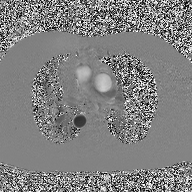
Summary: 2D phase-contrast cine MRI of the ascending aorta, high-resolution GRAPPA acquisition.